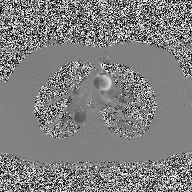
| field | value |
|---|---|
| modality | 2D phase-contrast cine MRI of the ascending aorta |